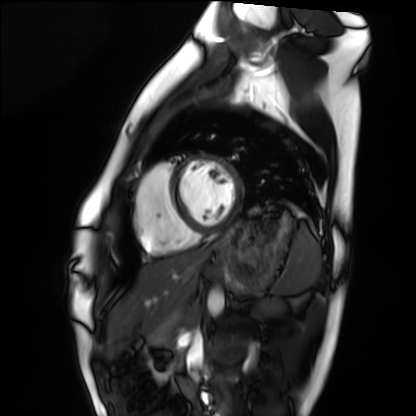
Q: What kind of scan is this?
A: Cardiac MRI.
Subject group: healthy volunteer.